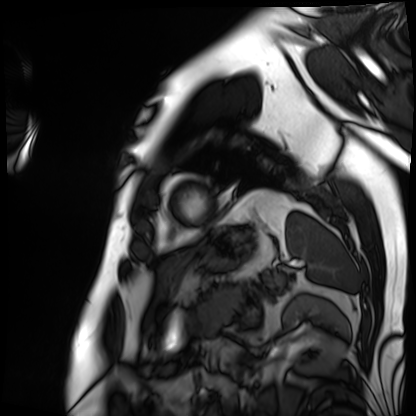
Cardiac MRI.
Subject group: patient.